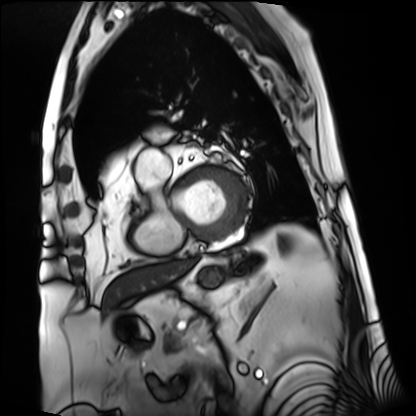
– modality — cardiac MRI
– subject group — patient